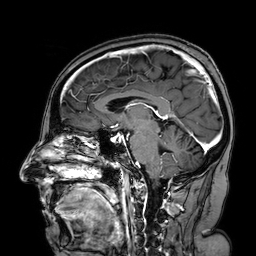
{"modality": {"type": "brain MRI", "field_strength": "3T"}, "series": "3D T1-weighted turbo field echo with SENSE", "study_topic": "ring-enhancing brain masses"}